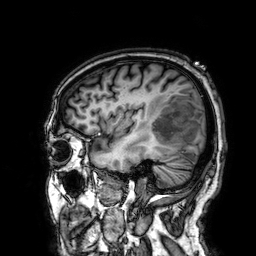
• modality: 3 Tesla brain MRI
• series: 3D T1-weighted
• study: ring-enhancing brain masses